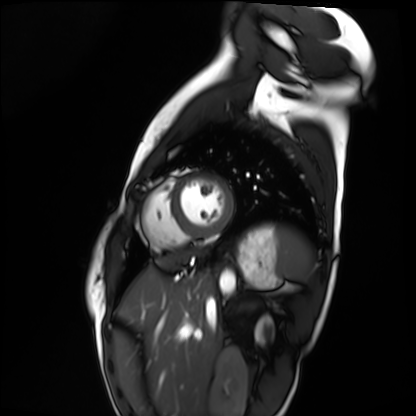
modality = cardiac MRI | subject group = healthy volunteer.